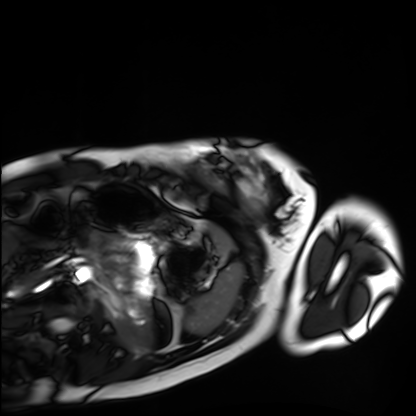
- modality · cardiac MRI
- subject group · healthy volunteer